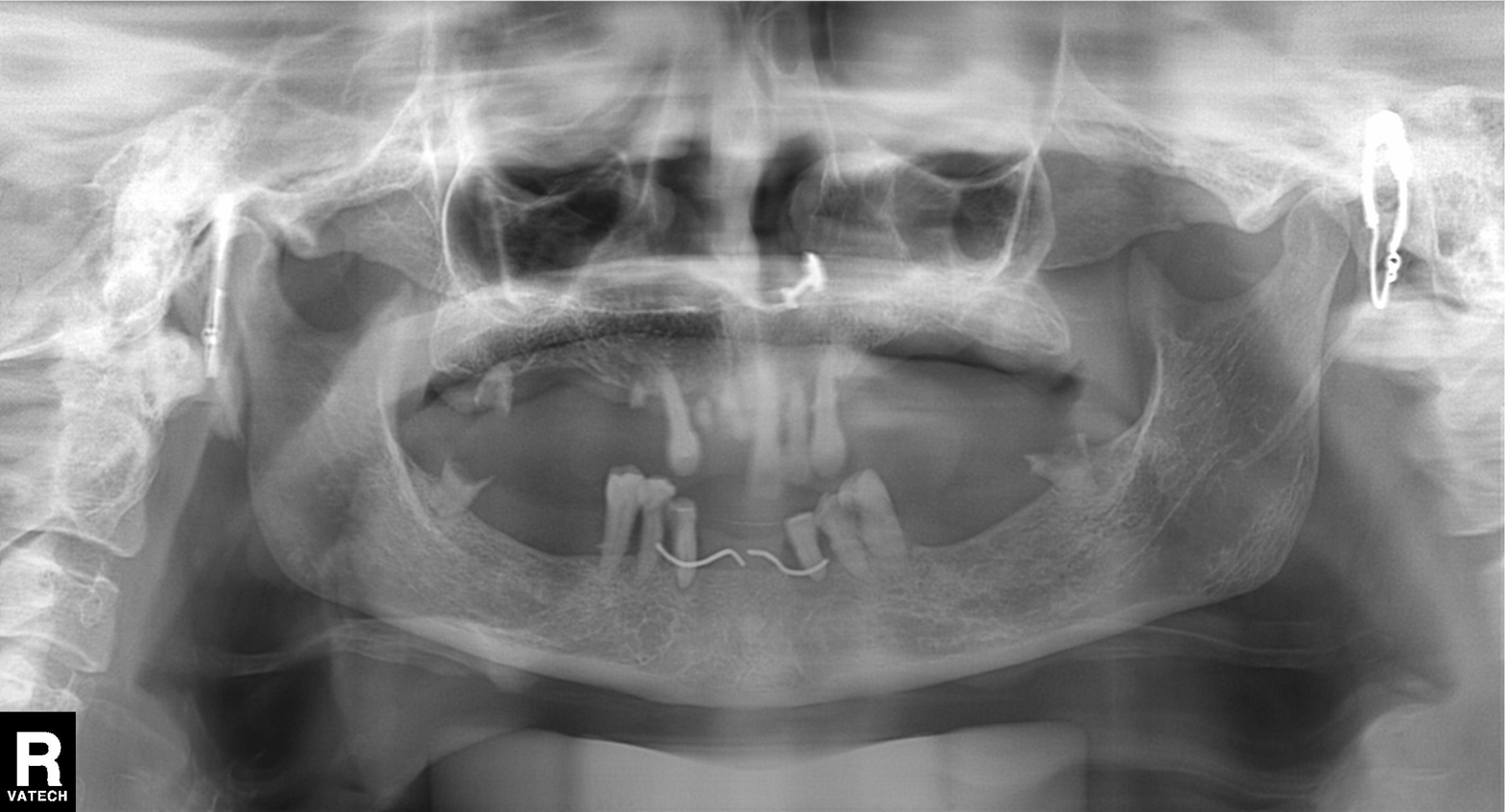
Case summary:
Panoramic dental radiograph (orthopantomogram).
Conclusion:
Alveolar bone loss.